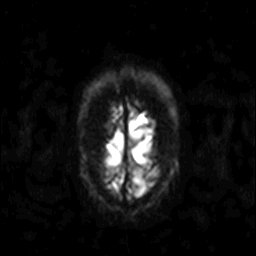
3 Tesla brain MRI.
Series: diffusion-weighted imaging.
Study: ring-enhancing brain masses.